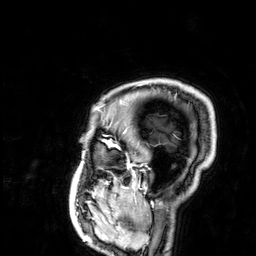
Summary: 3 Tesla brain MRI. Series: 3D T1-weighted. Study: ring-enhancing brain masses.